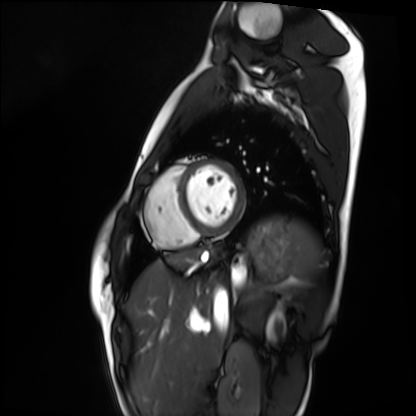
<scan>
  <modality>cardiac MRI</modality>
  <cohort>healthy volunteer</cohort>
</scan>